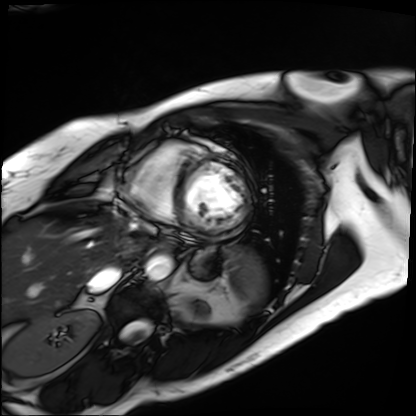
| field | value |
|---|---|
| modality | cardiac MRI |
| subject group | patient |